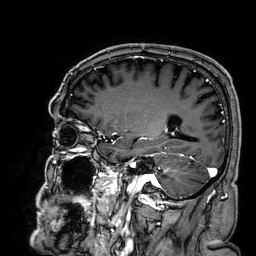
3 Tesla brain MRI. Series: 3D T1-weighted. Study: ring-enhancing brain masses.